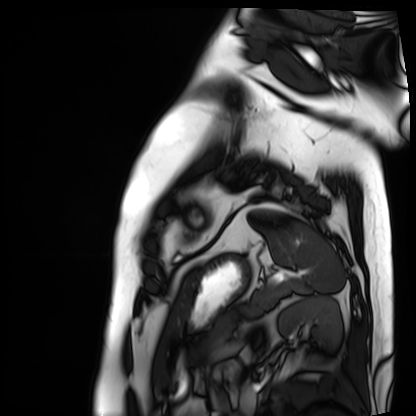
| field | value |
|---|---|
| modality | cardiac MRI |
| subject group | patient |